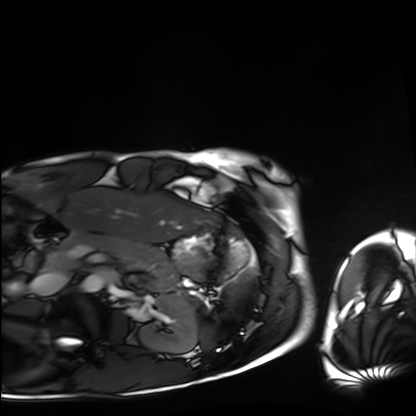
Cardiac MRI.
Subject group: healthy volunteer.